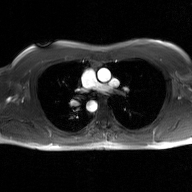
- modality · 2D phase-contrast cine MRI of the ascending aorta, GAN super-resolution reconstruction